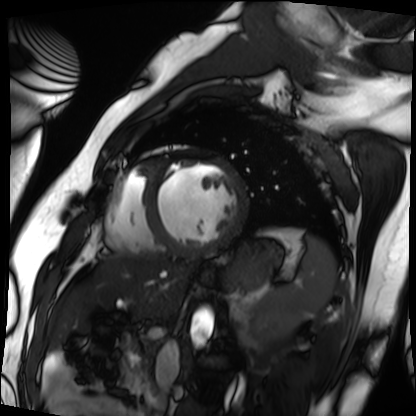
Summary:
Cardiac MRI. Subject group: patient.